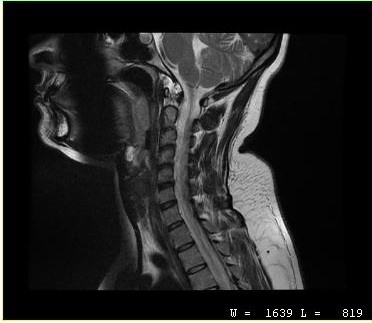
{
  "modality": {
    "type": "cervical spine MRI"
  },
  "study_topic": "cervical spondylosis"
}